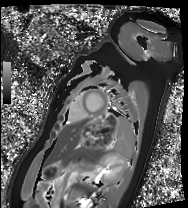
* modality — cardiac MRI
* subject group — healthy volunteer